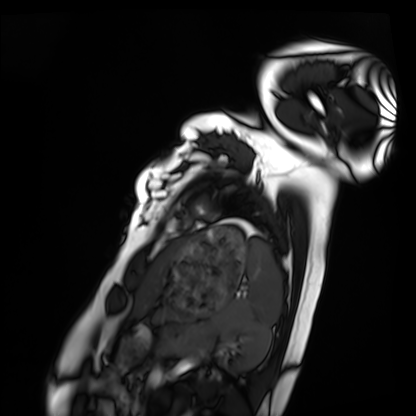
<study>
  <modality>cardiac MRI</modality>
  <cohort>healthy volunteer</cohort>
</study>